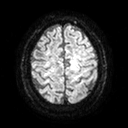
3 Tesla brain MRI. Series: diffusion tensor imaging (medium iso). Study: ring-enhancing brain masses.